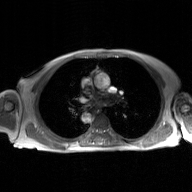
Clinical context:
2D phase-contrast cine MRI of the ascending aorta, GAN super-resolution reconstruction.